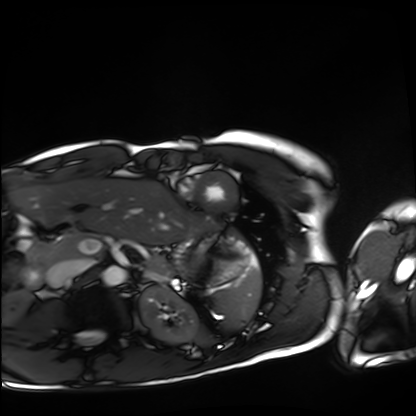
Summary: Cardiac MRI. Subject group: healthy volunteer.